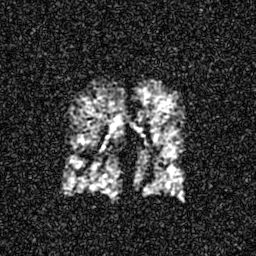
Q: What kind of scan is this?
A: Hyperpolarized 129Xe ventilation MRI of the lungs.
Q: SNR level?
A: 5 of 8 (the deposit holds this scan as its native image and as seven SNR-degraded versions).